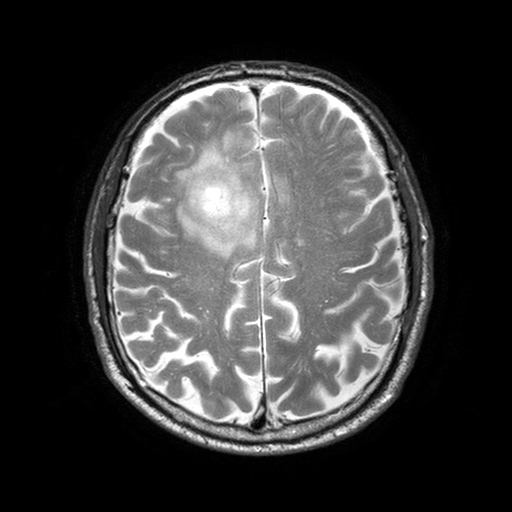
3 Tesla brain MRI.
Series: T2-weighted turbo spin echo with SENSE.
Study: ring-enhancing brain masses.